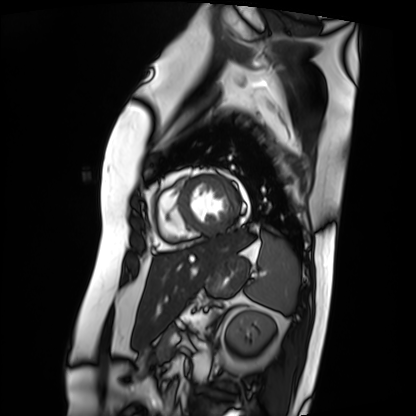
Summary:
Cardiac MRI. Subject group: patient.